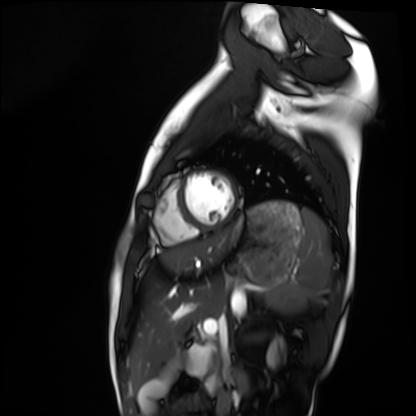
Cardiac MRI. Subject group: healthy volunteer.